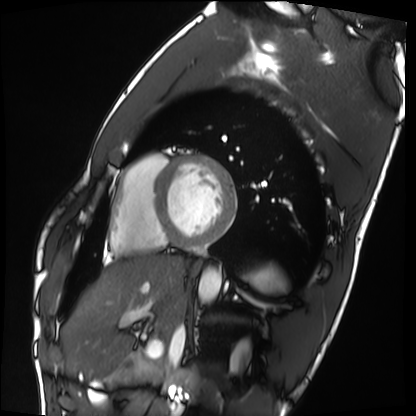
modality: cardiac MRI; subject group: healthy volunteer.